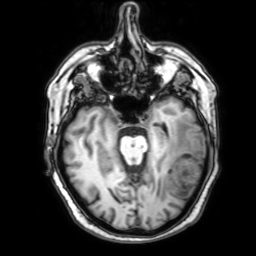
3 Tesla brain MRI. Series: 3D T1-weighted with SENSE. Study: ring-enhancing brain masses.